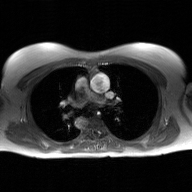
Case summary: 2D phase-contrast cine MRI of the ascending aorta, GAN super-resolution reconstruction.